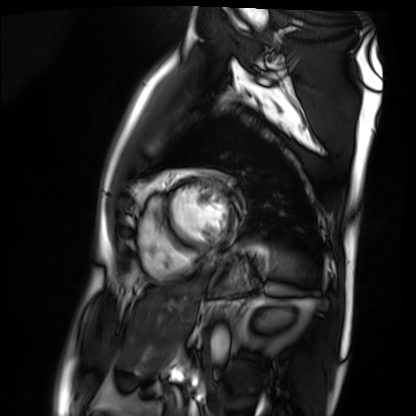
modality: cardiac MRI
subject group: patient